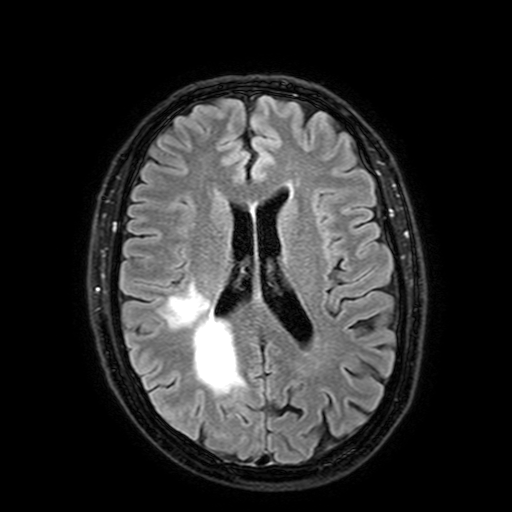
Summary: 3 Tesla brain MRI. Series: FLAIR with SPAIR, 3 mm. Study: ring-enhancing brain masses.